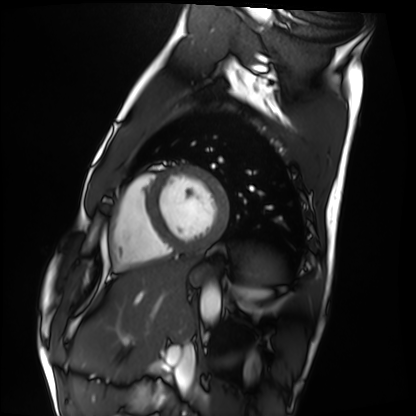
{
  "modality": "cardiac MRI",
  "cohort": "healthy volunteer"
}